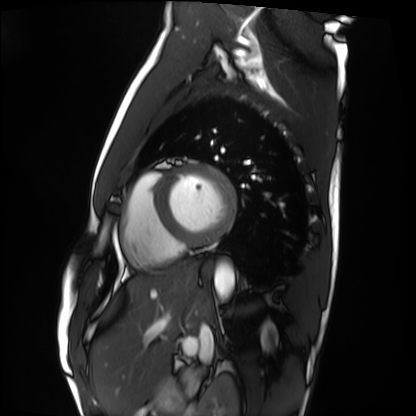
Case:
– modality: cardiac MRI
– subject group: healthy volunteer